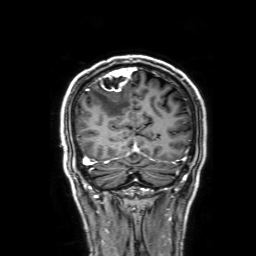
3 Tesla brain MRI. Series: 3D T1-weighted with SENSE. Study: ring-enhancing brain masses.